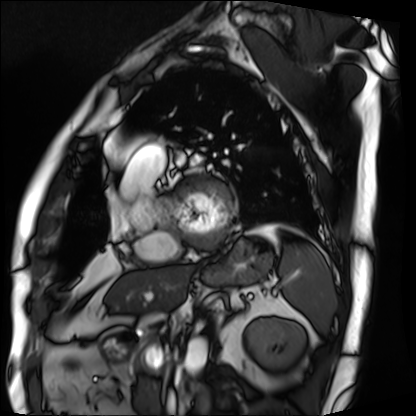
modality = cardiac MRI | subject group = patient.